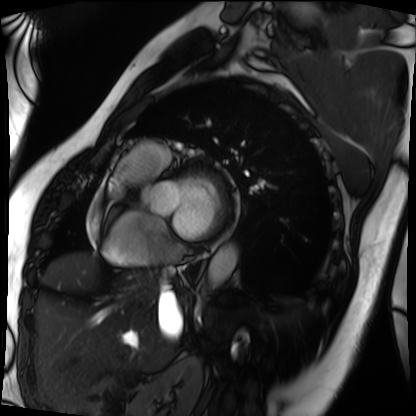
Q: What kind of scan is this?
A: Cardiac MRI.
Subject group: patient.